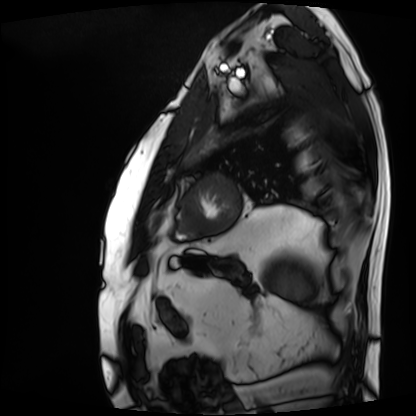
Cardiac MRI. Subject group: patient.